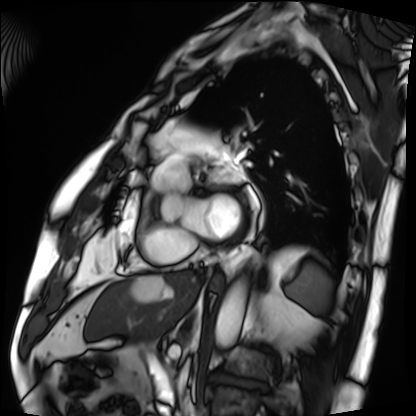
Case summary: Cardiac MRI. Subject group: patient.